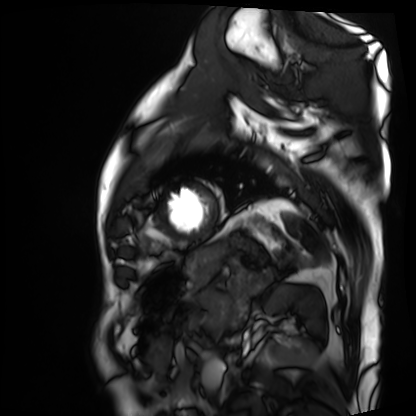
Cardiac MRI. Subject group: patient.